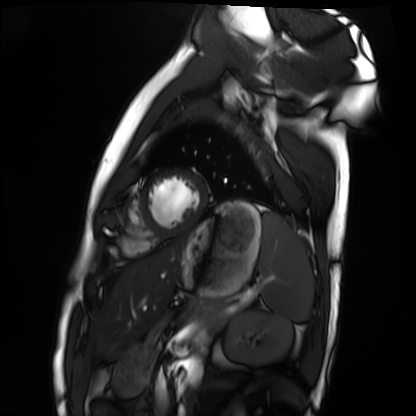
modality — cardiac MRI
subject group — healthy volunteer